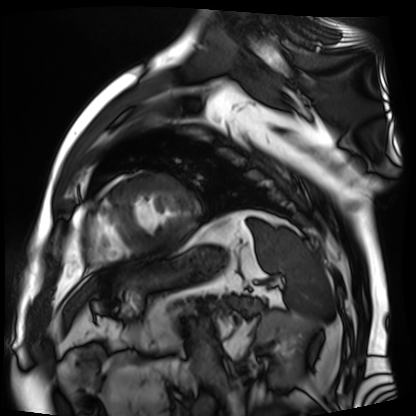
modality=cardiac MR image of the myocardium | subject cohort=cardiac patient.